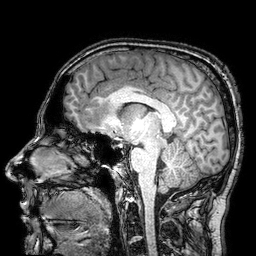
modality=3 Tesla brain MRI
series=3D T1-weighted turbo field echo with SENSE
study=ring-enhancing brain masses